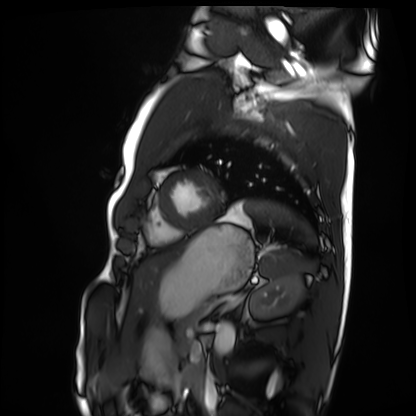
Cardiac MRI.
Subject group: healthy volunteer.